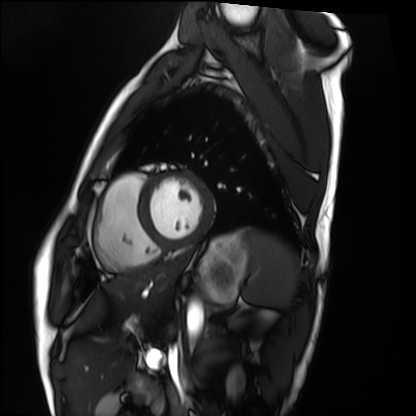
modality: cardiac MRI; subject group: healthy volunteer.